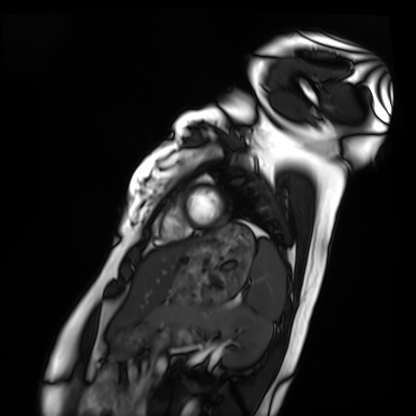
modality=cardiac MRI
subject group=healthy volunteer